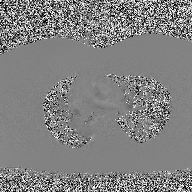
| field | value |
|---|---|
| modality | 2D phase-contrast cine MRI of the ascending aorta |